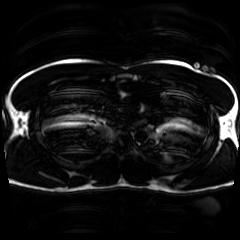
modality=chemical-shift-encoded cardiac MRI.